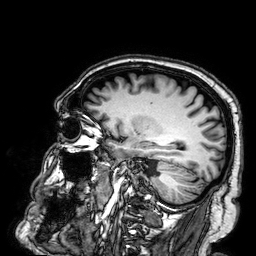
Q: What kind of scan is this?
A: 3 Tesla brain MRI.
Q: Series?
A: 3D T1-weighted.
Study: ring-enhancing brain masses.